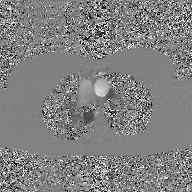
{"modality": {"type": "2D phase-contrast cine MRI", "region": "ascending aorta", "reconstruction": "GAN super-resolution reconstruction"}}